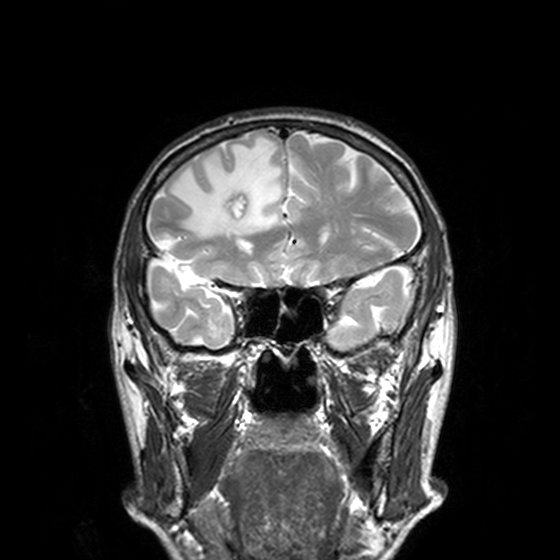
Clinical context: 3 Tesla brain MRI. Series: T2-weighted turbo spin echo, 3 mm. Study: ring-enhancing brain masses.